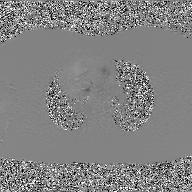
modality: 2D phase-contrast cine MRI of the ascending aorta, GAN super-resolution reconstruction.